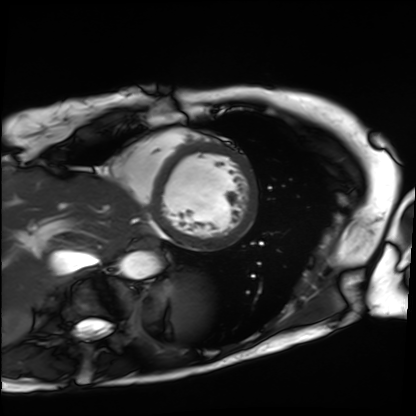
• modality: cardiac MRI
• subject group: patient